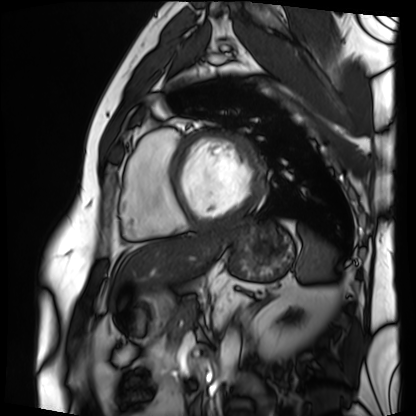
  modality: cardiac MRI
  cohort: patient